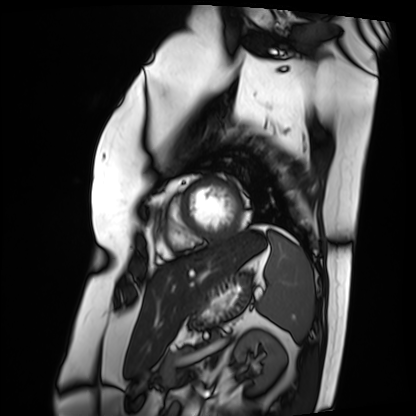
Case:
* modality · cardiac MRI
* subject group · patient